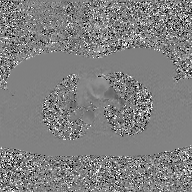
Case summary:
2D phase-contrast cine MRI of the ascending aorta, GAN super-resolution reconstruction.